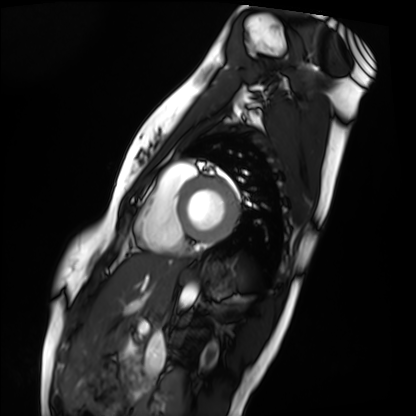
• modality · cardiac MRI
• subject group · healthy volunteer